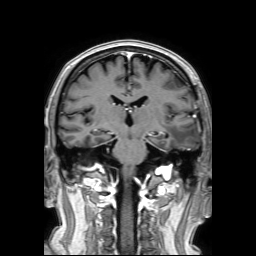
Summary: 3 Tesla brain MRI. Series: 3D T1-weighted TFE with SENSE. Study: ring-enhancing brain masses.